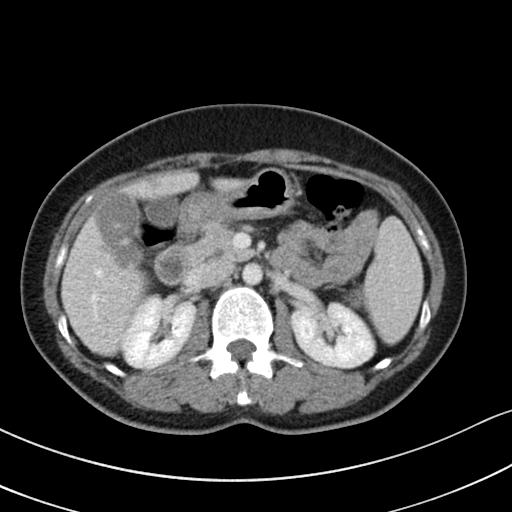
Q: What kind of scan is this?
A: Multiphase abdominal CT, liver, portal venous phase.
Q: Patient?
A: Female, age 46.